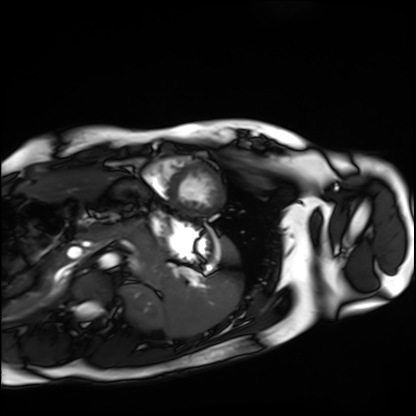
Q: What kind of scan is this?
A: Cardiac MRI.
Subject group: healthy volunteer.